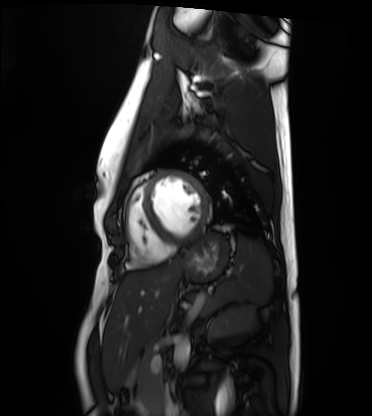
• modality — cardiac MRI
• subject group — healthy volunteer